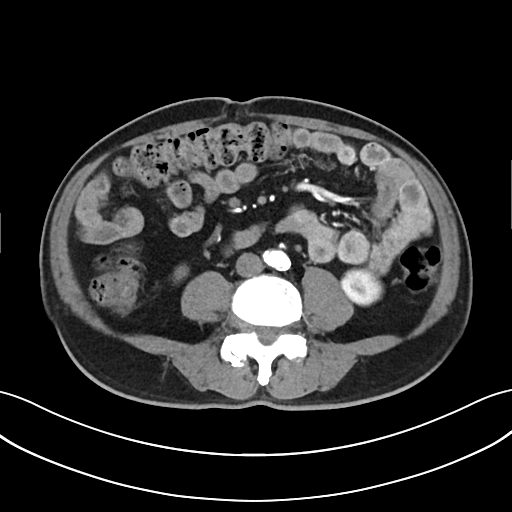
| field | value |
|---|---|
| modality | multiphase abdominal CT, liver, arterial phase |
| patient | male, age 65 |
| history | cirrhosis |